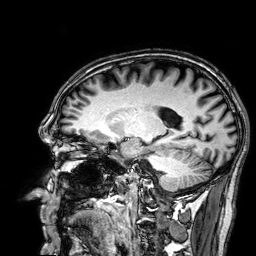
3 Tesla brain MRI.
Series: 3D T1-weighted.
Study: ring-enhancing brain masses.